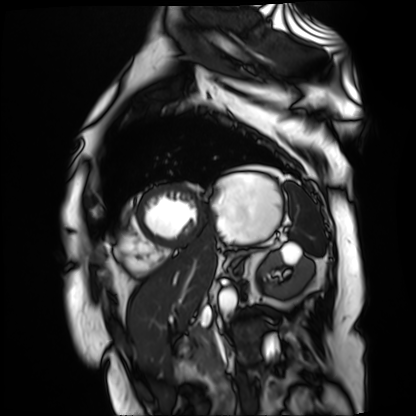
Cardiac MR image of the myocardium. Subject cohort: cardiac patient.